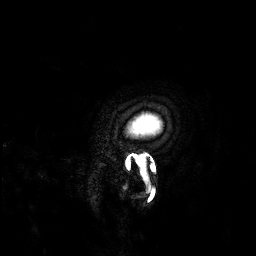
modality: 3 Tesla brain MRI | series: 3D T1-weighted | study: ring-enhancing brain masses.